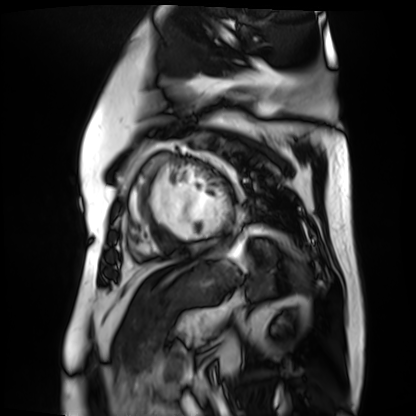
{
  "modality": "cardiac MR image of the myocardium",
  "cohort": "cardiac patient"
}